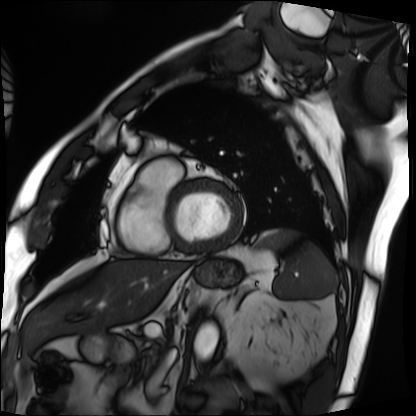
Q: What kind of scan is this?
A: Cardiac MRI.
Subject group: patient.